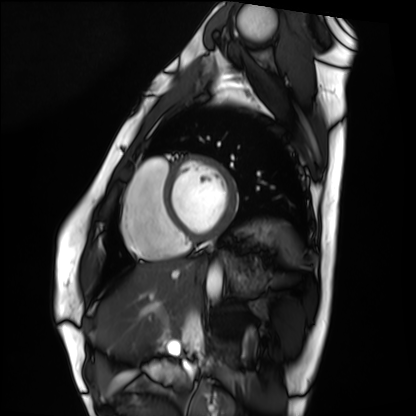
modality = cardiac MRI, subject group = healthy volunteer.